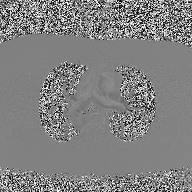
Case:
• modality — 2D phase-contrast cine MRI of the ascending aorta